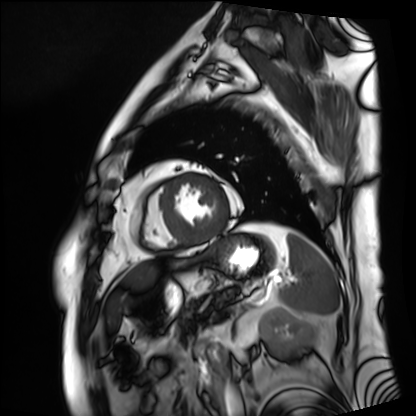
Cardiac MRI. Subject group: patient.